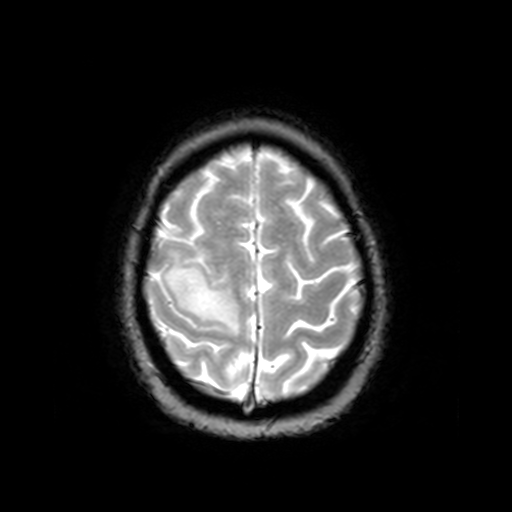
{
  "modality": {
    "type": "brain MRI",
    "field_strength": "3T"
  },
  "series": "T2-weighted fast field echo",
  "study_topic": "ring-enhancing brain masses"
}